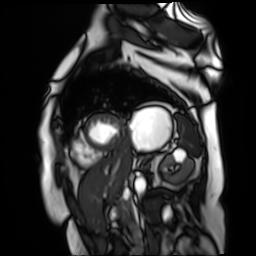
Q: What kind of scan is this?
A: Cardiac MR image of the myocardium.
Subject cohort: cardiac patient.